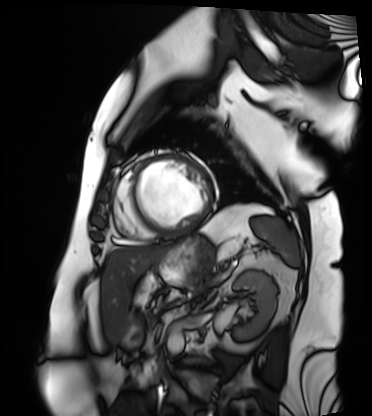
Summary: Cardiac MRI. Subject group: patient.